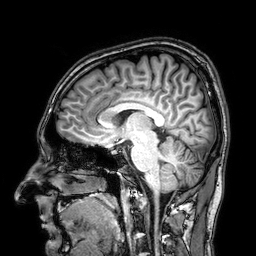
modality: 3 Tesla brain MRI
series: 3D T1-weighted
study: ring-enhancing brain masses